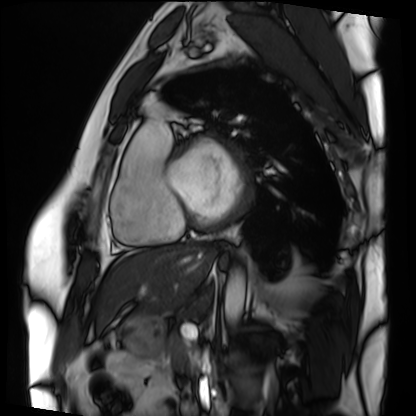
Cardiac MRI. Subject group: patient.